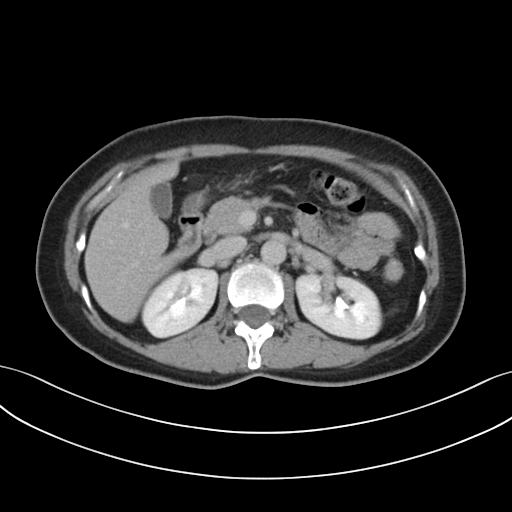
Clinical context:
Multiphase abdominal CT, liver, delayed phase.